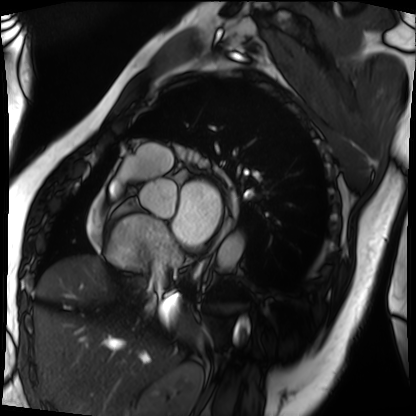
Q: What kind of scan is this?
A: Cardiac MRI.
Subject group: patient.